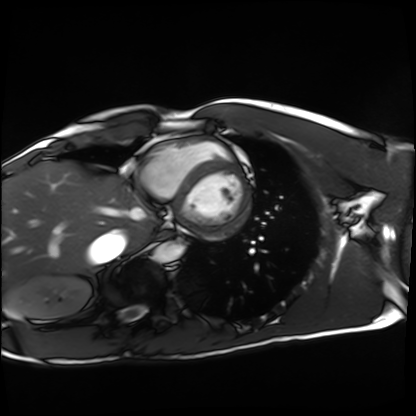
Cardiac MRI. Subject group: healthy volunteer.